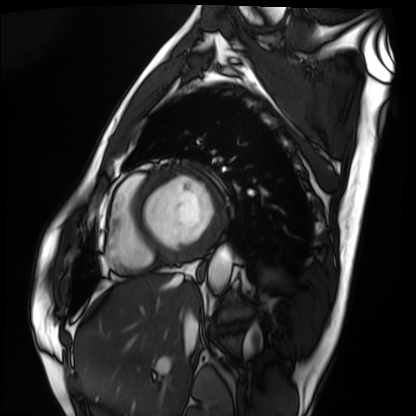
Cardiac MRI. Subject group: patient.